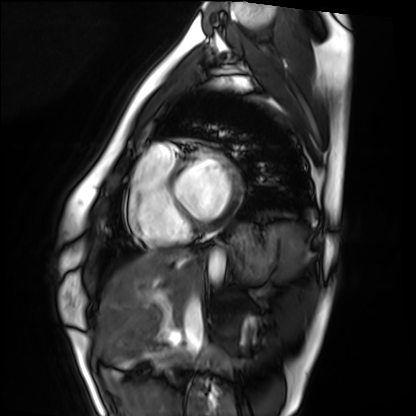
Cardiac MRI. Subject group: healthy volunteer.